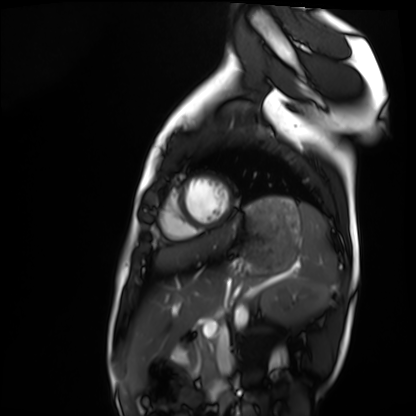
Case summary: Cardiac MRI. Subject group: healthy volunteer.